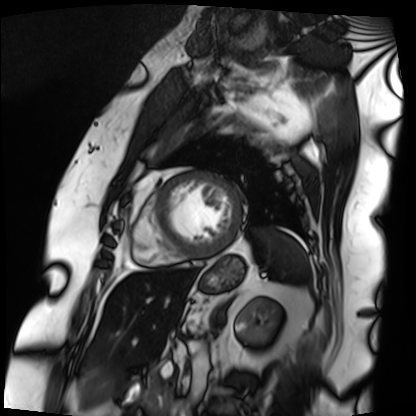
modality: cardiac MRI | subject group: patient.